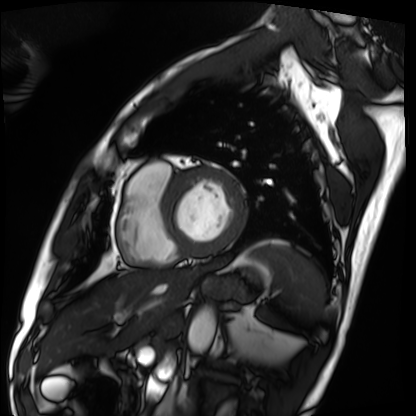
Q: What kind of scan is this?
A: Cardiac MRI.
Subject group: patient.